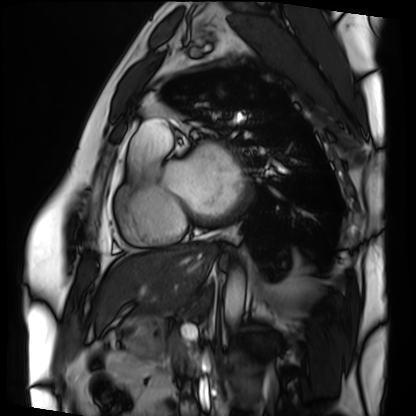
modality = cardiac MRI, subject group = patient.